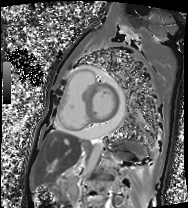
Cardiac MRI. Subject group: patient.